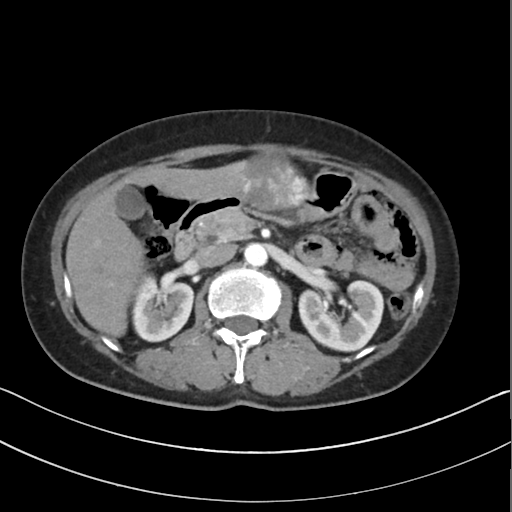
Multiphase abdominal CT, liver, arterial phase. Patient: female, age 56.